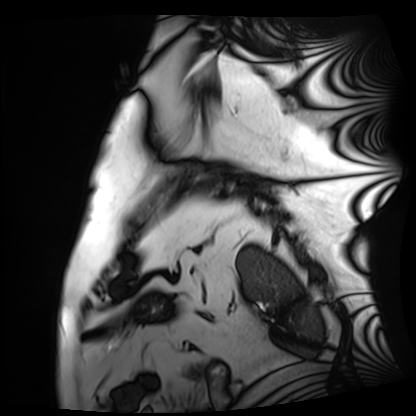
{
  "modality": "cardiac MRI",
  "cohort": "patient"
}